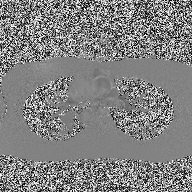
2D phase-contrast cine MRI of the ascending aorta, high-resolution GRAPPA acquisition.